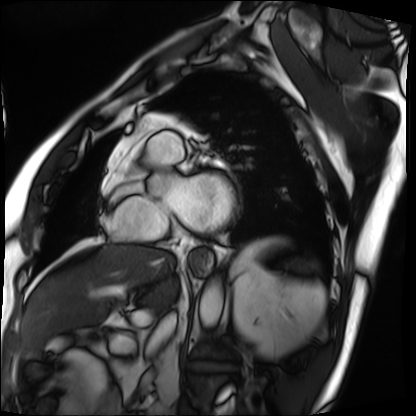
modality = cardiac MRI; subject group = patient.